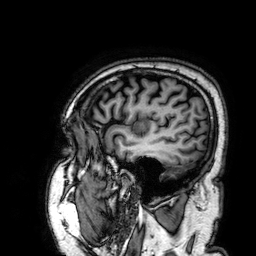
3 Tesla brain MRI. Series: 3D T1-weighted. Study: ring-enhancing brain masses.